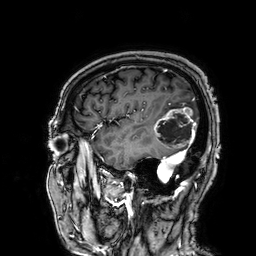
{
  "modality": {
    "type": "brain MRI",
    "field_strength": "3T"
  },
  "series": "3D T1-weighted",
  "study_topic": "ring-enhancing brain masses"
}